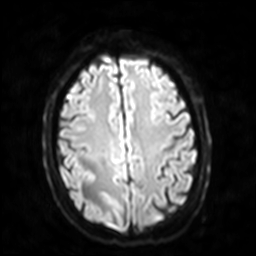
3 Tesla brain MRI. Series: diffusion-weighted imaging with SENSE (WIP). Study: ring-enhancing brain masses.